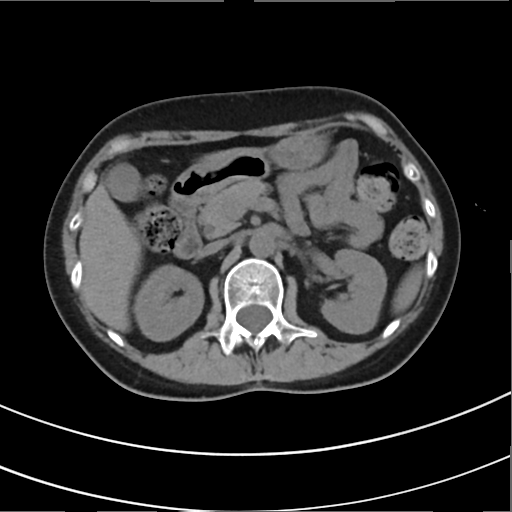
modality:
  type: multiphase abdominal CT
  region: liver
  phase: non-contrast
patient:
  sex: female
  age: 50
history:
  - prior chemotherapy